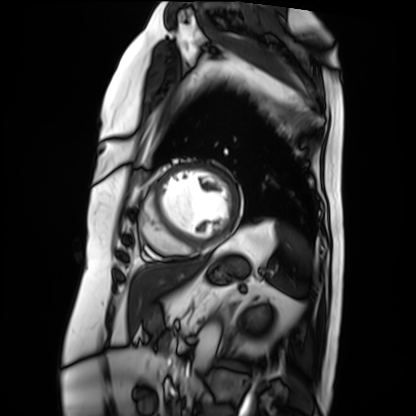
Q: What kind of scan is this?
A: Cardiac MRI.
Subject group: patient.